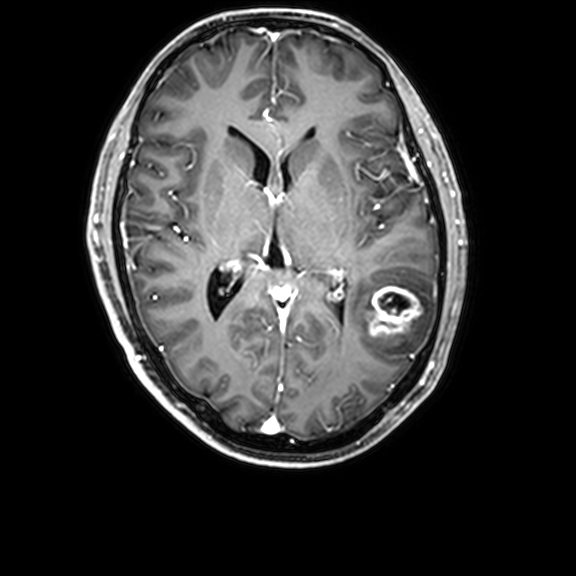
3 Tesla brain MRI. Series: 3D T1-weighted with CLEAR. Study: ring-enhancing brain masses.